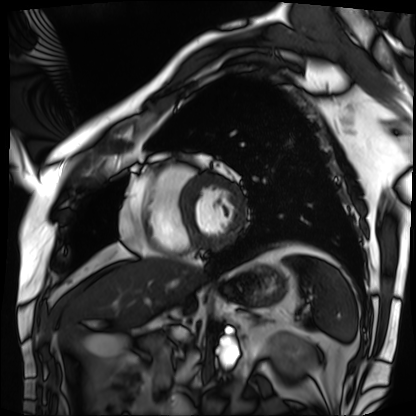
Case:
* modality — cardiac MRI
* subject group — patient